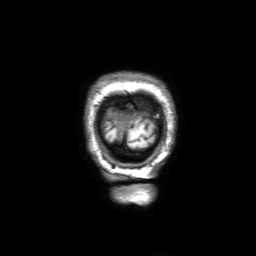
Clinical context:
3 Tesla brain MRI. Series: 3D T1-weighted with SENSE. Study: ring-enhancing brain masses.